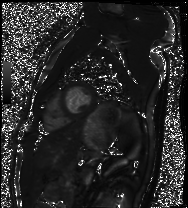
Clinical context: Cardiac MRI. Subject group: healthy volunteer.